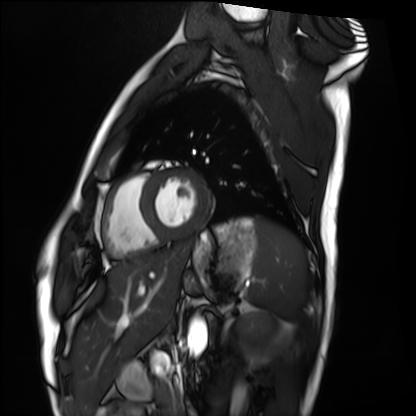
Cardiac MRI. Subject group: healthy volunteer.